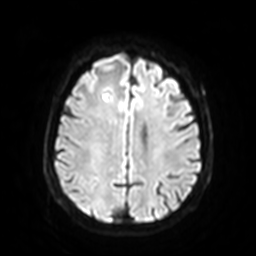
Q: What kind of scan is this?
A: 3 Tesla brain MRI.
Q: Series?
A: Diffusion-weighted imaging with SENSE (WIP).
Study: ring-enhancing brain masses.